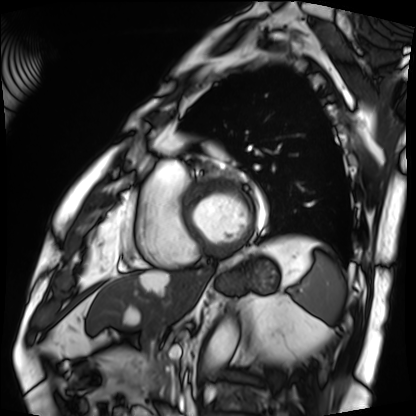
Cardiac MRI. Subject group: patient.